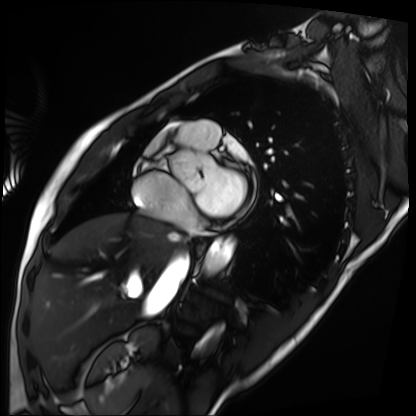
Summary: Cardiac MRI. Subject group: patient.